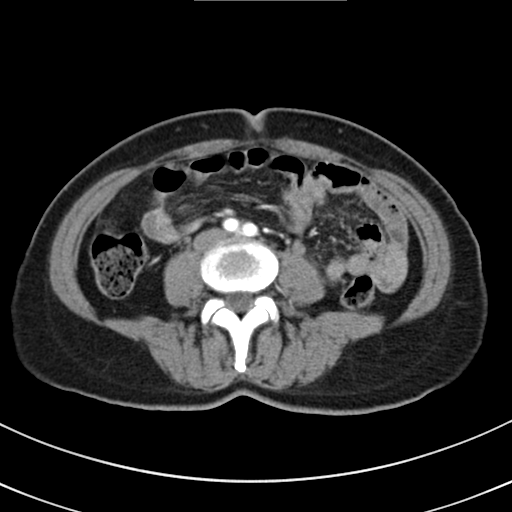
| field | value |
|---|---|
| modality | multiphase abdominal CT, liver, arterial phase |
| patient | female, age 50 |